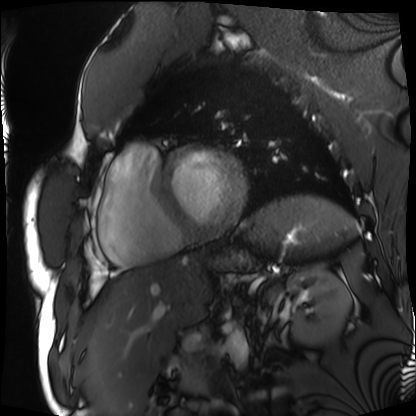
Summary: Cardiac MRI. Subject group: patient.